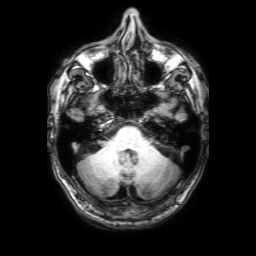
modality: 3 Tesla brain MRI
series: 3D T1-weighted with SENSE
study: ring-enhancing brain masses